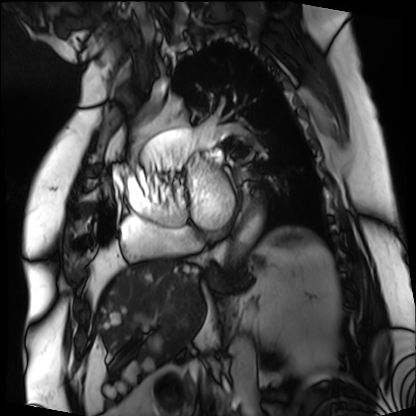
<study>
  <modality>cardiac MRI</modality>
  <cohort>patient</cohort>
</study>